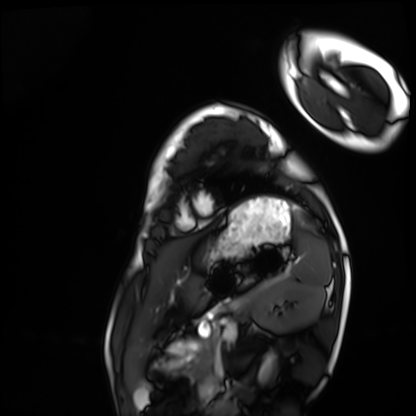
<scan>
  <modality>cardiac MRI</modality>
  <cohort>healthy volunteer</cohort>
</scan>